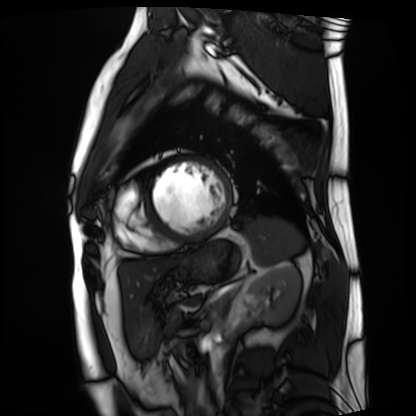
Summary: Cardiac MRI. Subject group: patient.